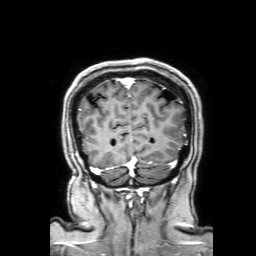
modality = 3 Tesla brain MRI | study = ring-enhancing brain masses.